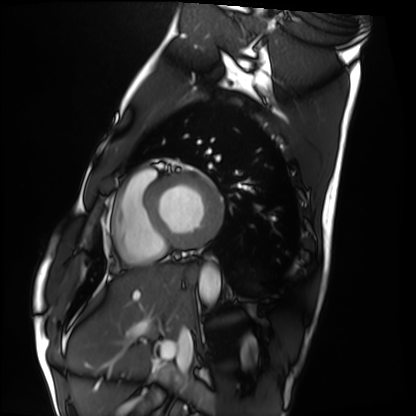
modality: cardiac MRI | subject group: healthy volunteer.